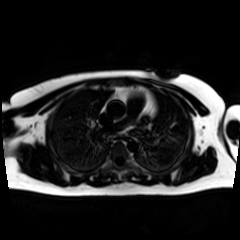
{
  "modality": "chemical-shift-encoded cardiac MRI"
}